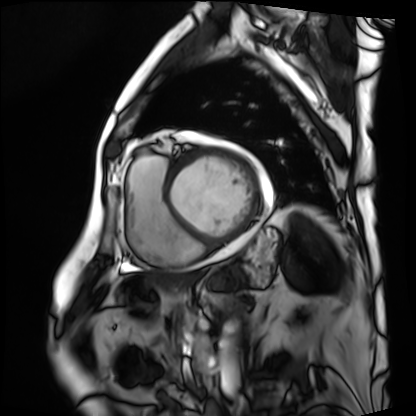
Q: What kind of scan is this?
A: Cardiac MRI.
Subject group: patient.